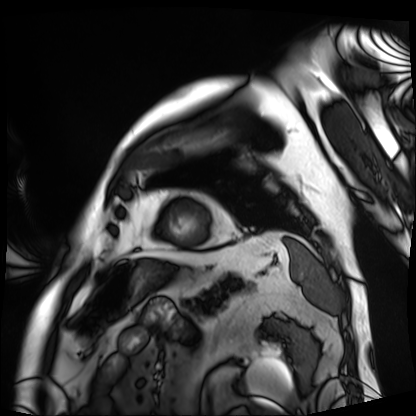
Case:
* modality — cardiac MRI
* subject group — patient